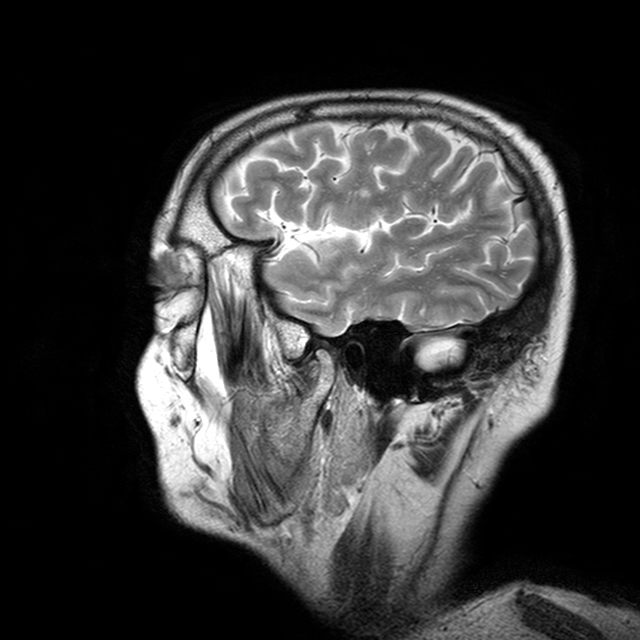
Q: What kind of scan is this?
A: 3 Tesla brain MRI.
Q: Series?
A: T2-weighted turbo spin echo with CLEAR.
Study: ring-enhancing brain masses.